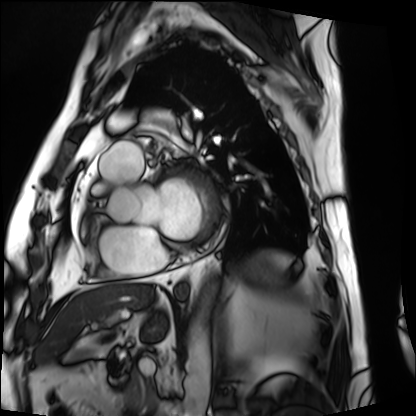
Cardiac MRI.
Subject group: patient.